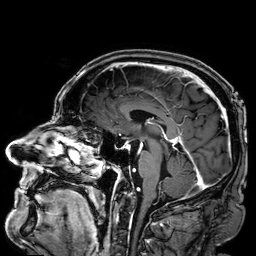
modality: 3 Tesla brain MRI; series: 3D T1-weighted; study: ring-enhancing brain masses.